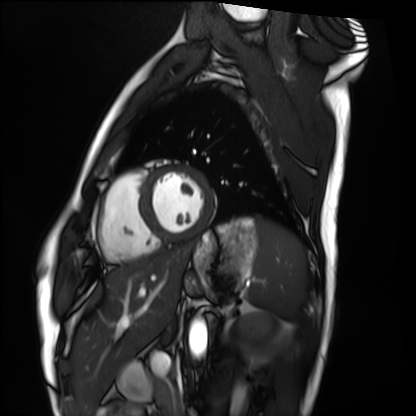
Cardiac MRI.
Subject group: healthy volunteer.